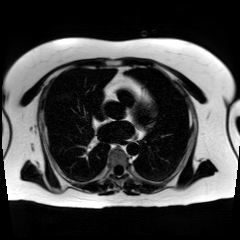
Q: What kind of scan is this?
A: Chemical-shift-encoded cardiac MRI.